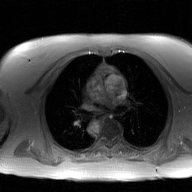
modality=2D phase-contrast cine MRI of the ascending aorta, GAN super-resolution reconstruction.